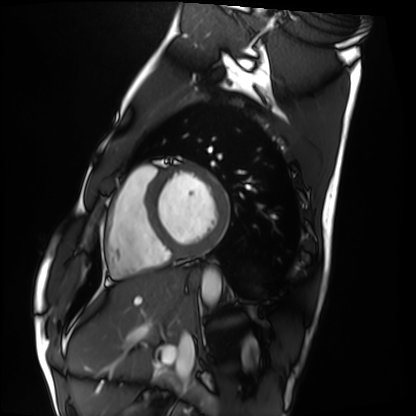
Cardiac MRI. Subject group: healthy volunteer.